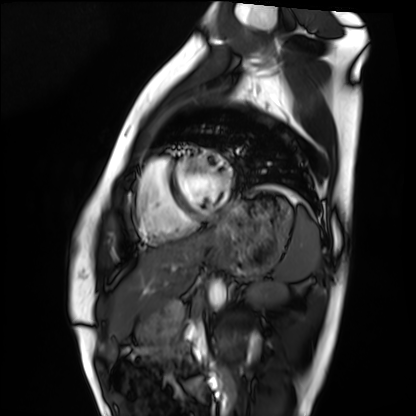
Cardiac MRI. Subject group: healthy volunteer.